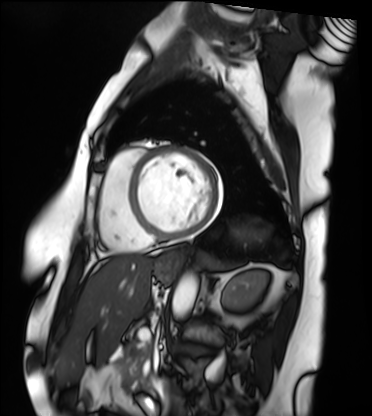
Case summary: Cardiac MRI. Subject group: patient.